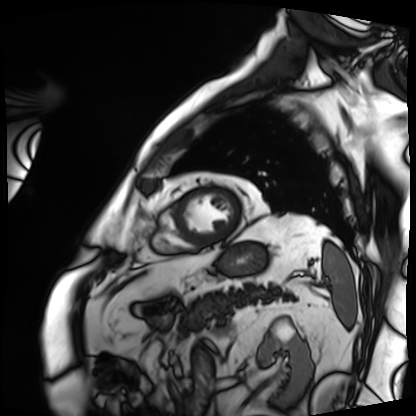
Cardiac MRI. Subject group: patient.